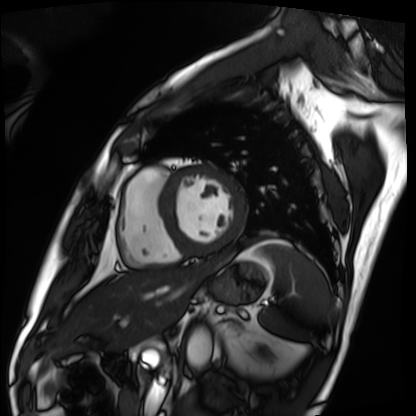
Cardiac MRI. Subject group: patient.